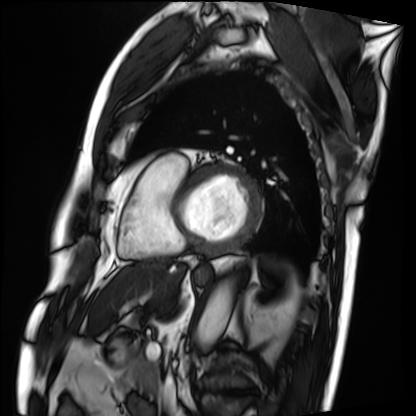
Cardiac MRI.
Subject group: patient.